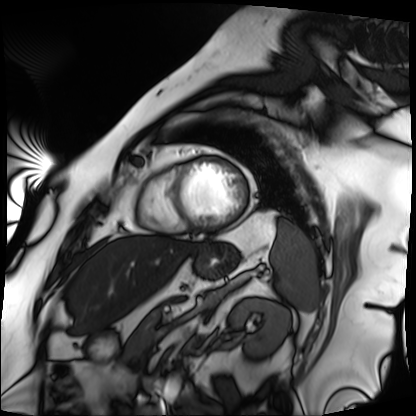
Case:
- modality — cardiac MRI
- subject group — patient